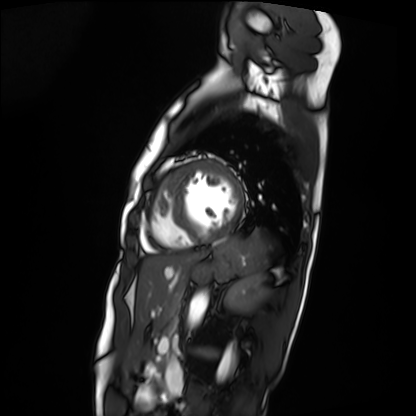
Cardiac MRI.
Subject group: patient.